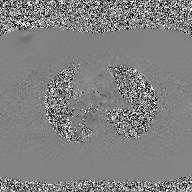
modality: 2D phase-contrast cine MRI of the ascending aorta, GAN super-resolution reconstruction.